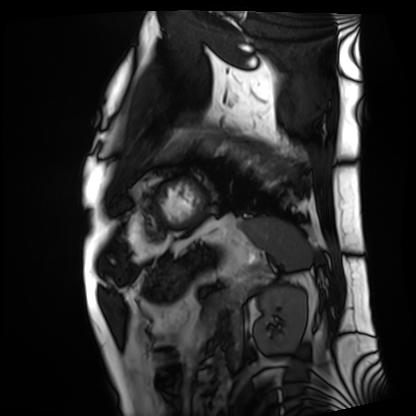
Cardiac MRI.
Subject group: patient.